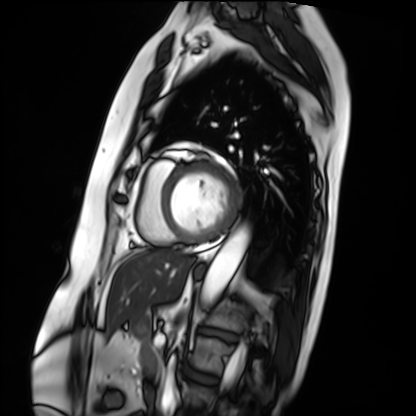
Cardiac MRI.
Subject group: patient.